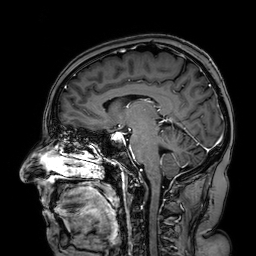
modality — 3 Tesla brain MRI; series — 3D T1-weighted turbo field echo with SENSE; study — ring-enhancing brain masses.